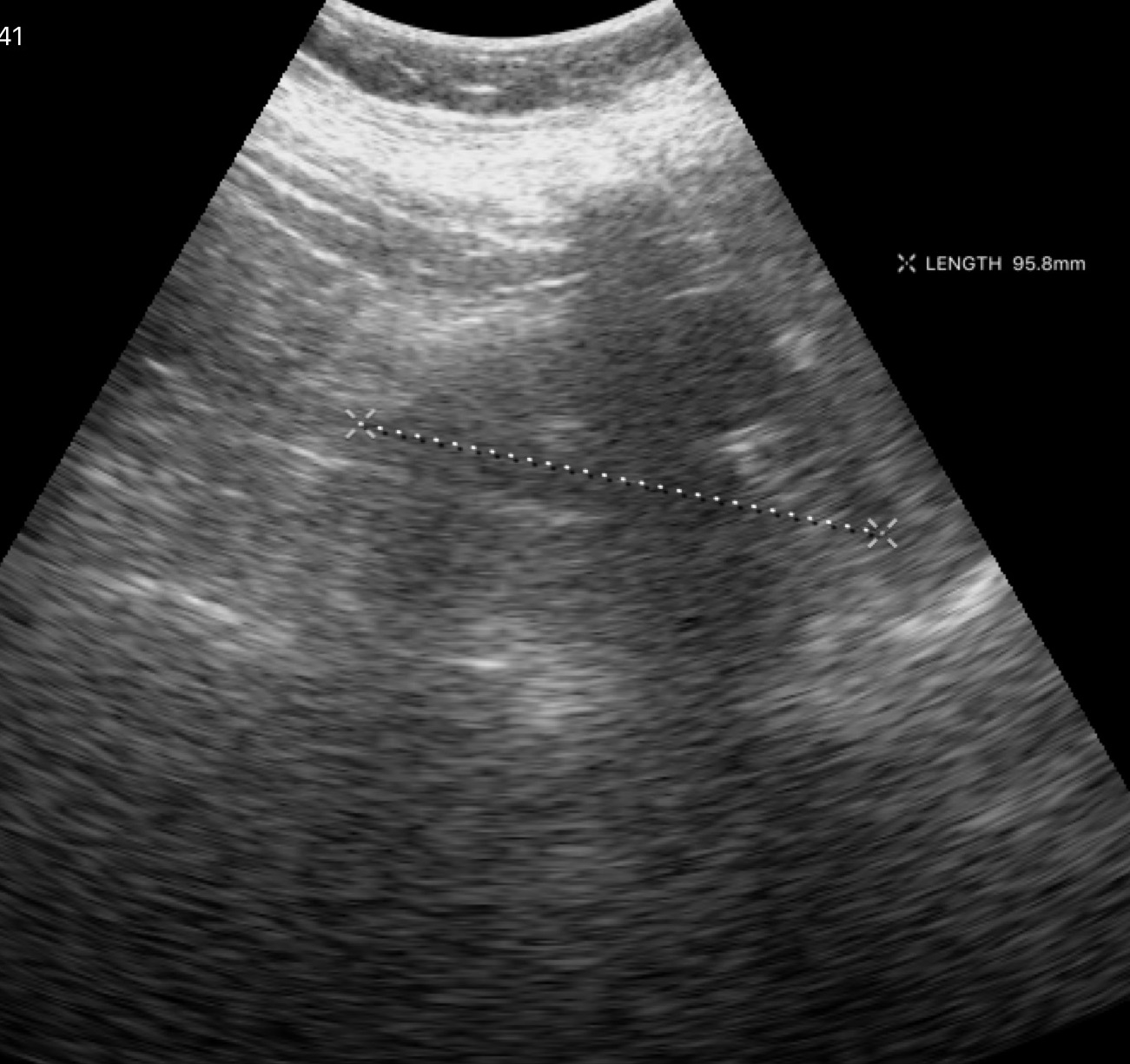
Summary: Genitourinary ultrasound.